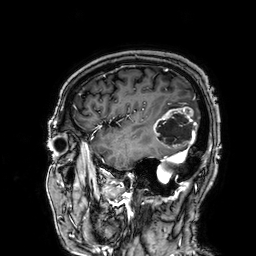
Summary:
3 Tesla brain MRI. Series: 3D T1-weighted. Study: ring-enhancing brain masses.